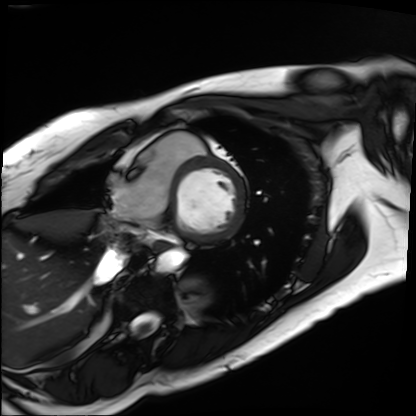
| field | value |
|---|---|
| modality | cardiac MRI |
| subject group | patient |